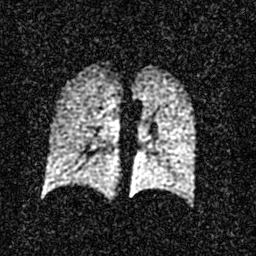
modality = hyperpolarized 129Xe ventilation MRI of the lungs; SNR level = 3 of 8 (the deposit holds this scan as its native image and as seven SNR-degraded versions).